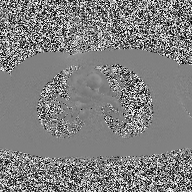
{"modality": {"type": "2D phase-contrast cine MRI", "region": "ascending aorta", "reconstruction": "high-resolution GRAPPA acquisition"}}